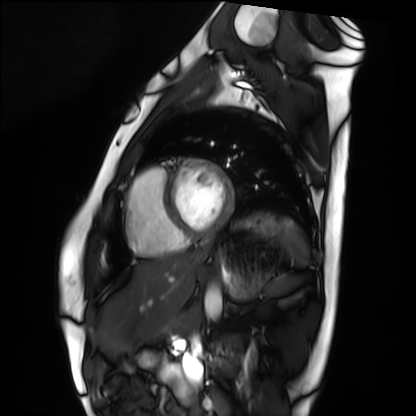
modality: cardiac MRI, subject group: healthy volunteer.